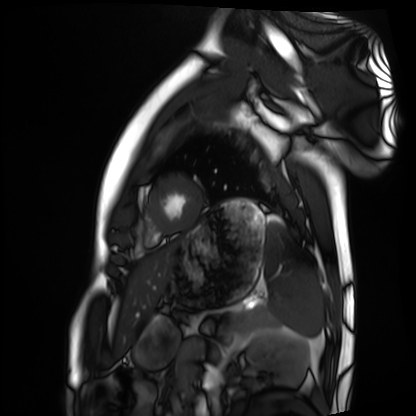
* modality: cardiac MRI
* subject group: healthy volunteer